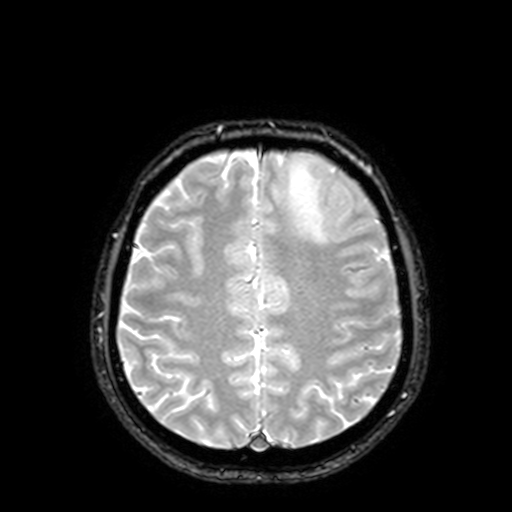
3 Tesla brain MRI.
Series: T2-weighted fast field echo with SENSE.
Study: ring-enhancing brain masses.